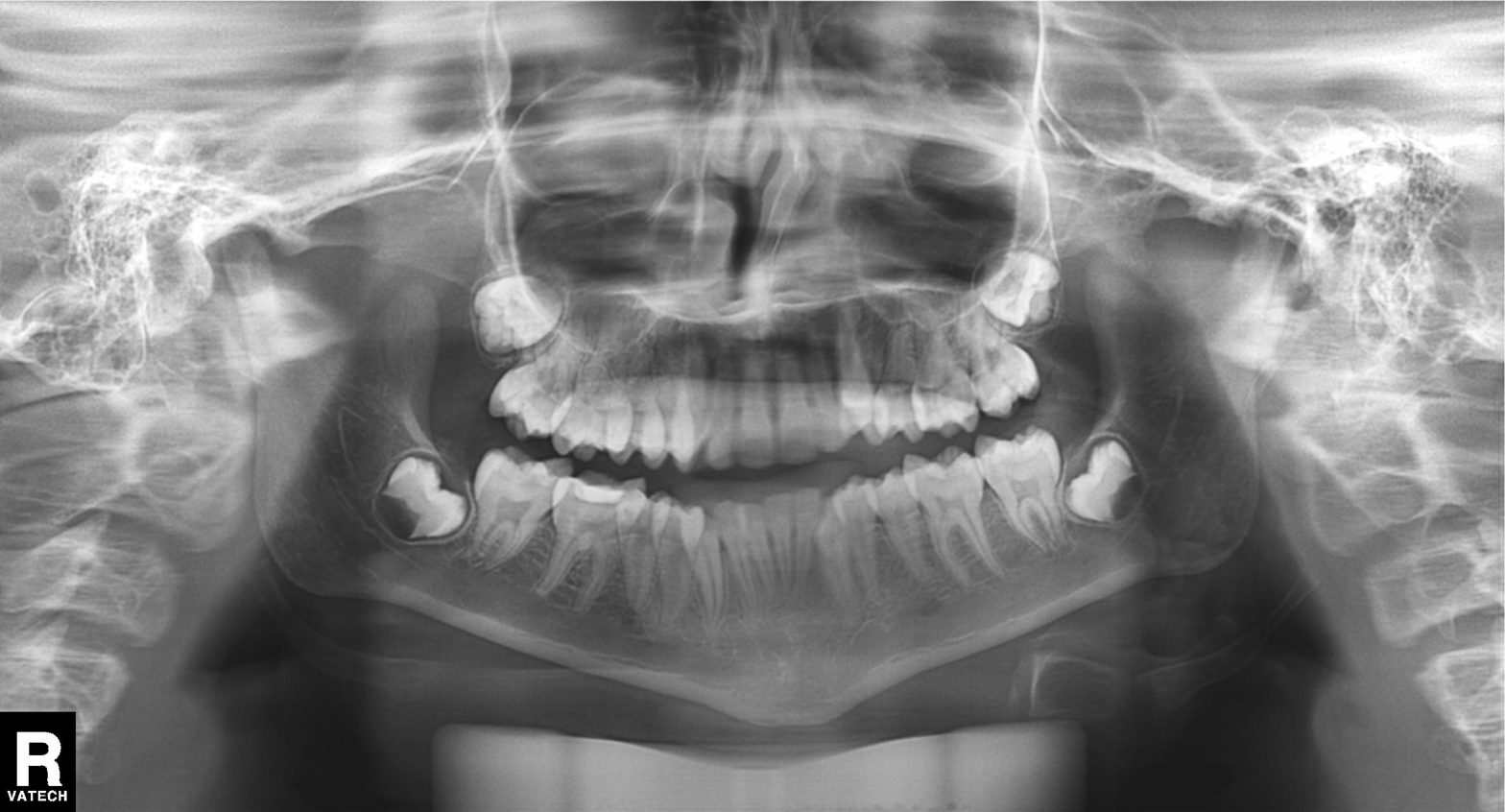
{
  "modality": "panoramic dental radiograph (orthopantomogram)",
  "finding": "alveolar bone loss"
}